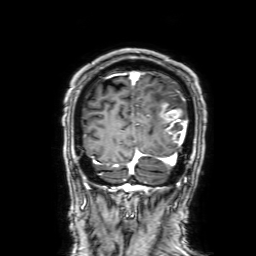
modality:
  type: brain MRI
  field_strength: 3T
series: 3D T1-weighted with SENSE
study_topic: ring-enhancing brain masses